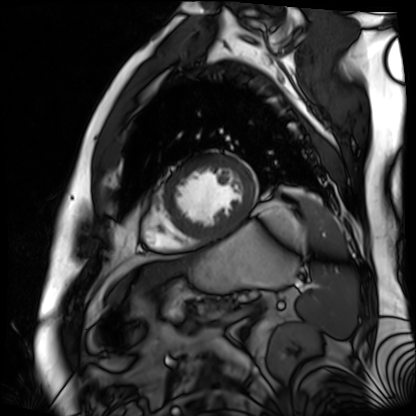
Cardiac MR image of the myocardium.
Subject cohort: cardiac patient.